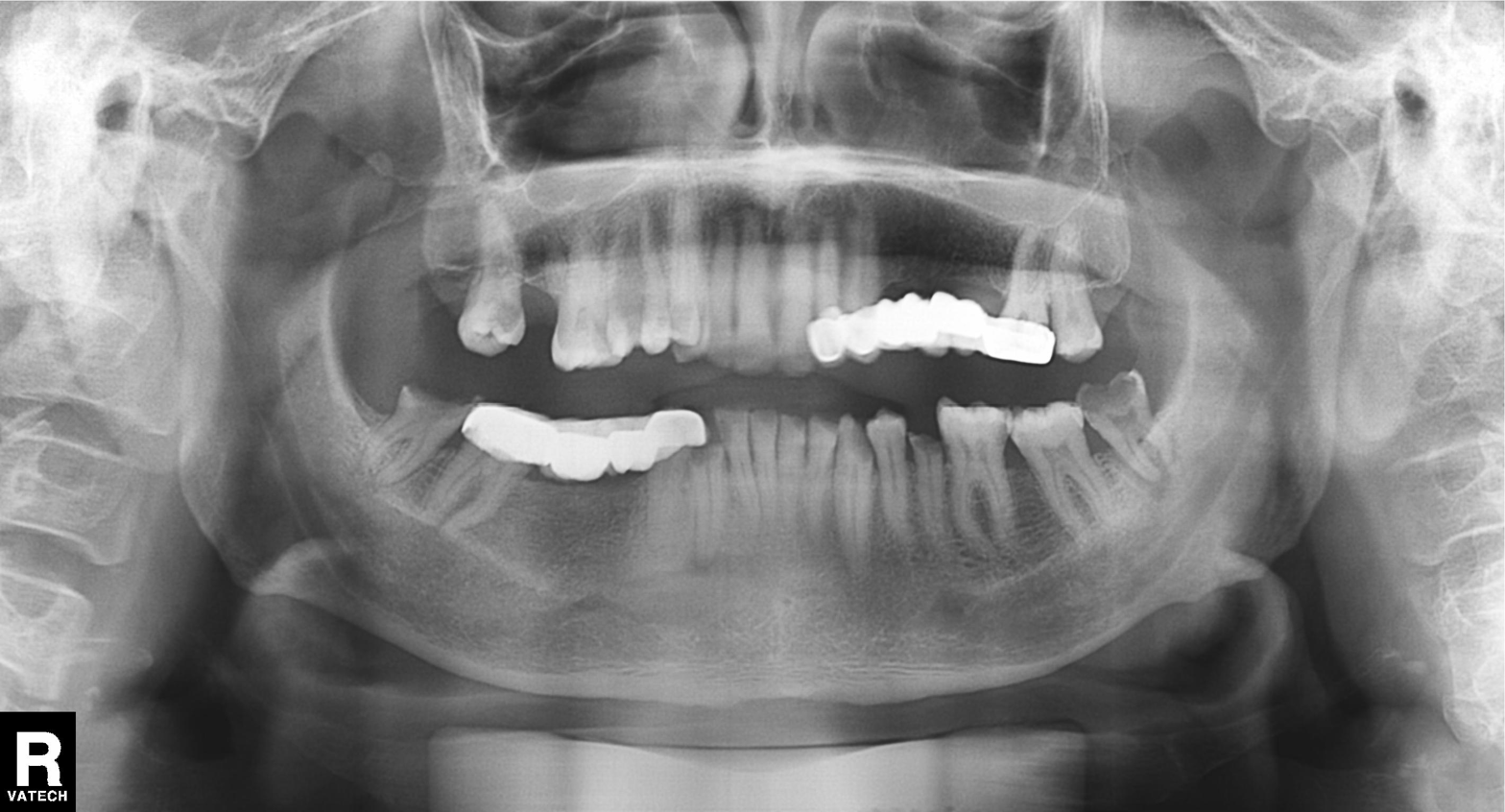
Panoramic dental radiograph (orthopantomogram). Finding: tooth impaction.